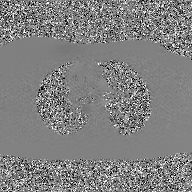
{
  "modality": {
    "type": "2D phase-contrast cine MRI",
    "region": "ascending aorta",
    "reconstruction": "GAN super-resolution reconstruction"
  }
}